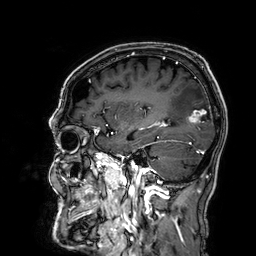
| field | value |
|---|---|
| modality | 3 Tesla brain MRI |
| series | 3D T1-weighted |
| study | ring-enhancing brain masses |